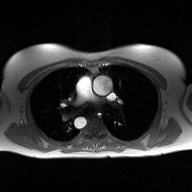
2D phase-contrast cine MRI of the ascending aorta, high-resolution GRAPPA acquisition.